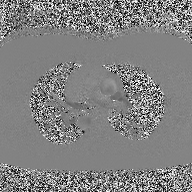
Summary: 2D phase-contrast cine MRI of the ascending aorta, high-resolution GRAPPA acquisition.